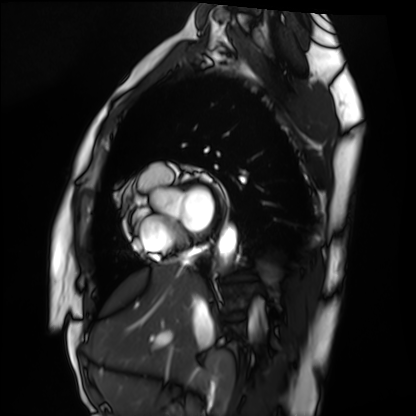
Q: What kind of scan is this?
A: Cardiac MRI.
Subject group: healthy volunteer.